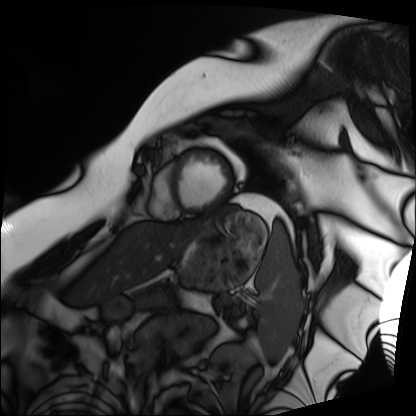
modality: cardiac MRI
subject group: patient